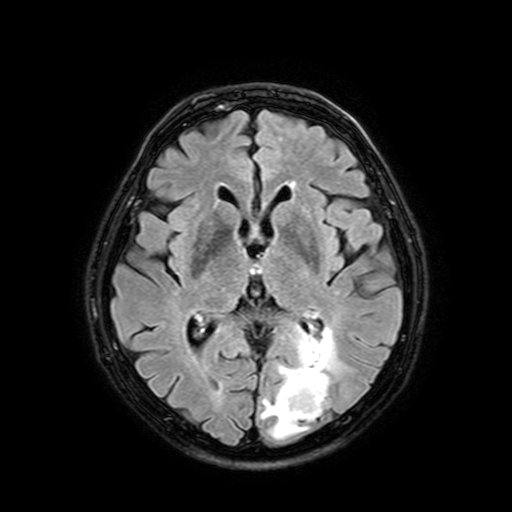
modality = 3 Tesla brain MRI
series = FLAIR with SPAIR, 3 mm
study = ring-enhancing brain masses